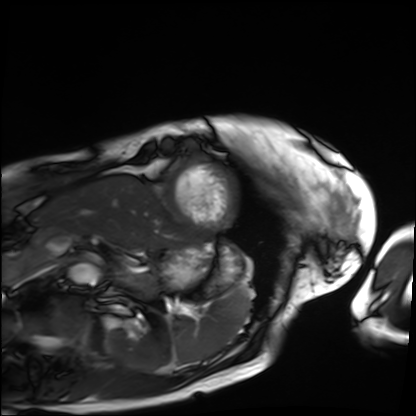
Cardiac MRI. Subject group: patient.